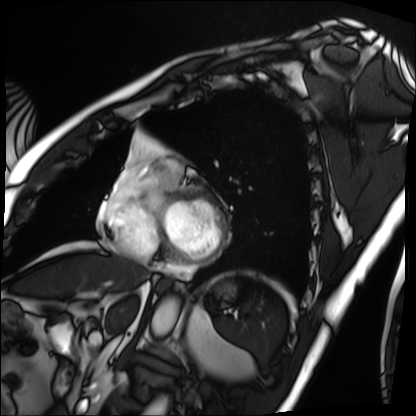
Cardiac MRI. Subject group: patient.